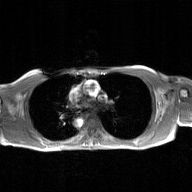
2D phase-contrast cine MRI of the ascending aorta, GAN super-resolution reconstruction.